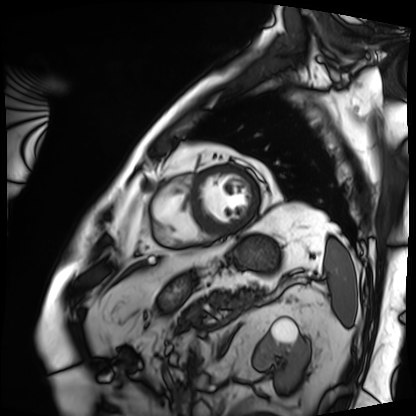
Q: What kind of scan is this?
A: Cardiac MRI.
Subject group: patient.